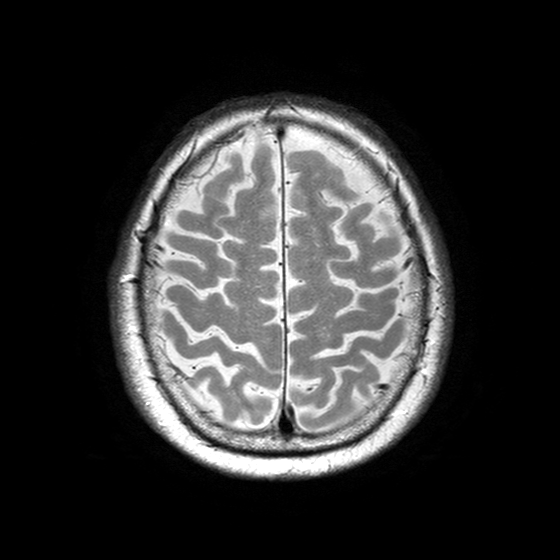
{"modality": {"type": "brain MRI", "field_strength": "3T"}, "series": "T2-weighted turbo spin echo with SENSE", "study_topic": "ring-enhancing brain masses"}